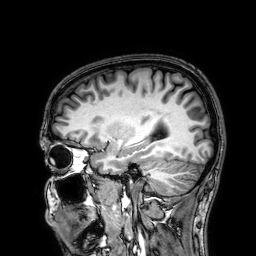
modality = 3 Tesla brain MRI
series = 3D T1-weighted
study = ring-enhancing brain masses